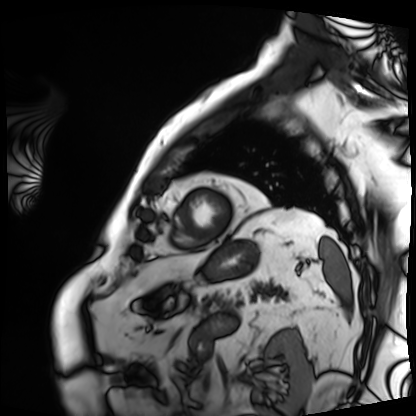
Cardiac MRI.
Subject group: patient.